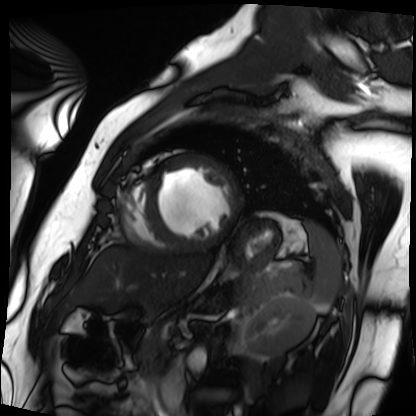
* modality — cardiac MRI
* subject group — patient